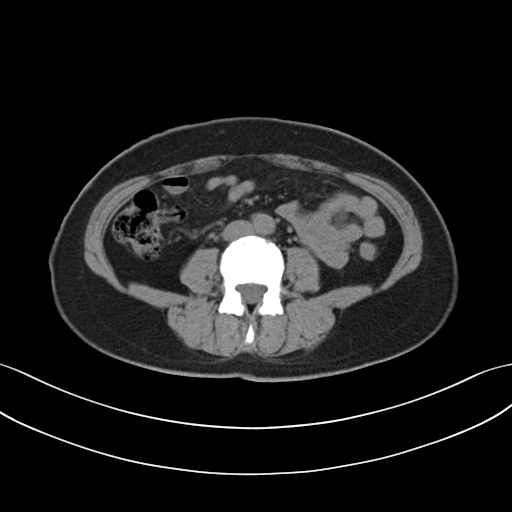
Summary: Multiphase abdominal CT, liver, non-contrast phase.